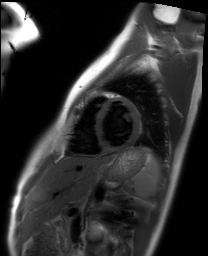
Clinical context: Cardiac MRI. Subject group: healthy volunteer.